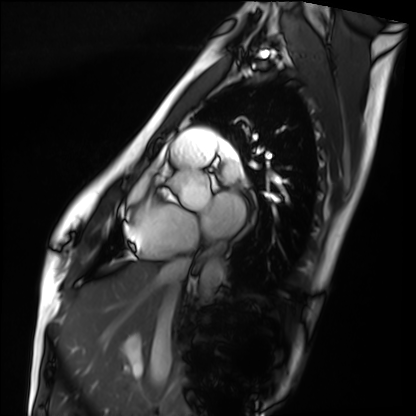
<record>
<modality>cardiac MRI</modality>
<cohort>healthy volunteer</cohort>
</record>